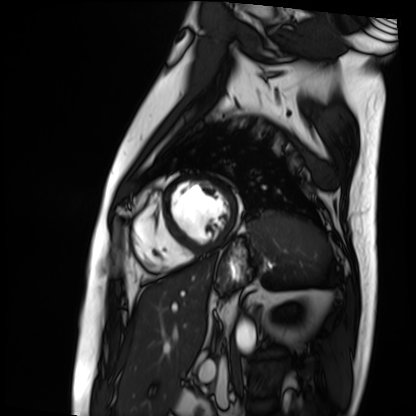
Summary:
Cardiac MRI. Subject group: patient.